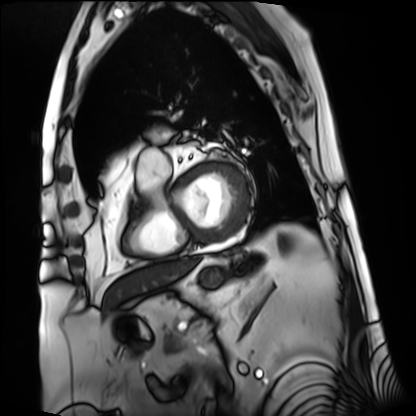
Summary: Cardiac MRI. Subject group: patient.